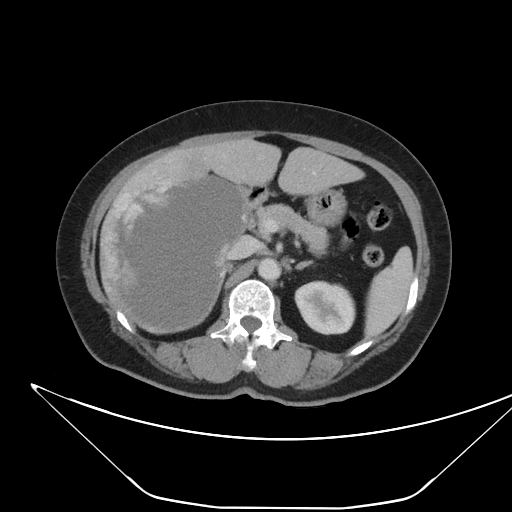
<study>
<modality>
  <type>multiphase abdominal CT</type>
  <region>liver</region>
  <phase>portal venous</phase>
</modality>
<patient>
  <sex>female</sex>
  <age>62</age>
</patient>
</study>